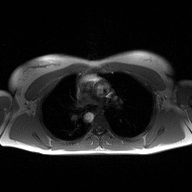
<scan>
<modality>
  <type>2D phase-contrast cine MRI</type>
  <region>ascending aorta</region>
  <reconstruction>high-resolution GRAPPA acquisition</reconstruction>
</modality>
</scan>